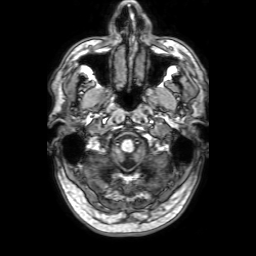
modality: 3 Tesla brain MRI; series: 3D T1-weighted with SENSE; study: ring-enhancing brain masses.